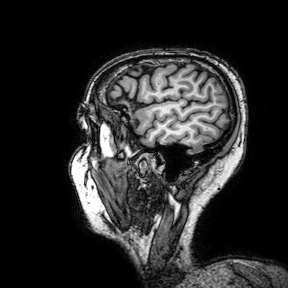
{
  "modality": {
    "type": "brain MRI",
    "field_strength": "3T"
  },
  "series": "3D T1-weighted turbo field echo with SENSE",
  "study_topic": "ring-enhancing brain masses"
}